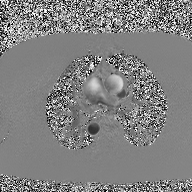
Q: What kind of scan is this?
A: 2D phase-contrast cine MRI of the ascending aorta.